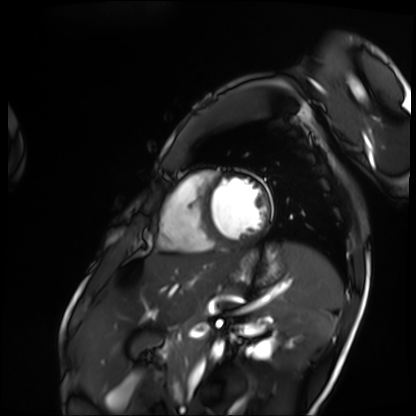
• modality: cardiac MRI
• subject group: patient